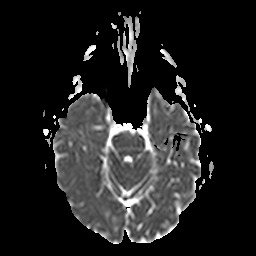
{"modality": {"type": "brain MRI", "field_strength": "3T"}, "series": "apparent diffusion coefficient (ADC) map", "study_topic": "ring-enhancing brain masses"}